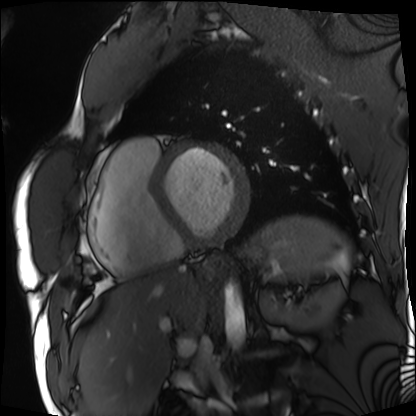
Case:
- modality — cardiac MRI
- subject group — patient